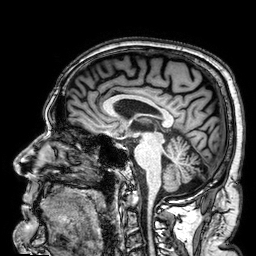
<case>
  <modality>
    <type>brain MRI</type>
    <field_strength>3T</field_strength>
  </modality>
  <series>3D T1-weighted</series>
  <study_topic>ring-enhancing brain masses</study_topic>
</case>